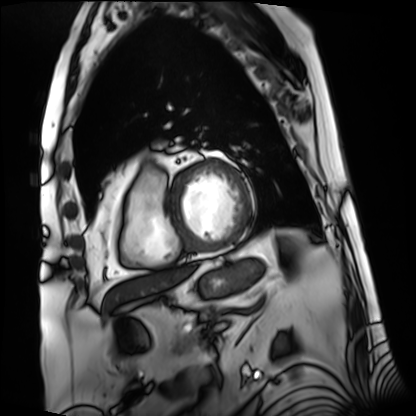
Clinical context: Cardiac MRI. Subject group: patient.